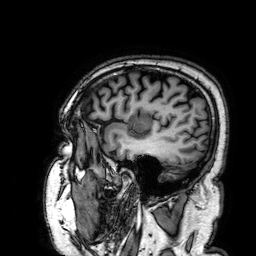
3 Tesla brain MRI. Study: ring-enhancing brain masses.